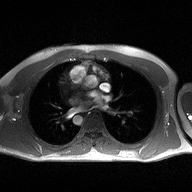
2D phase-contrast cine MRI of the ascending aorta, high-resolution GRAPPA acquisition.